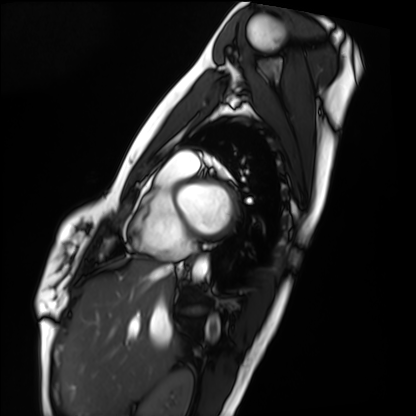
Cardiac MRI.
Subject group: healthy volunteer.